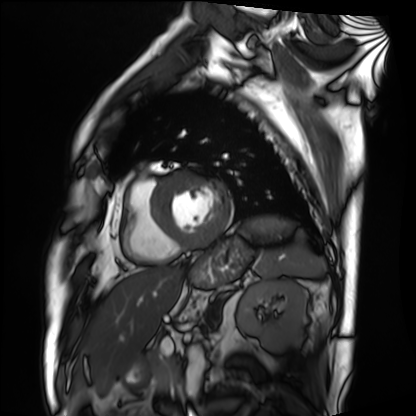
Cardiac MRI. Subject group: patient.